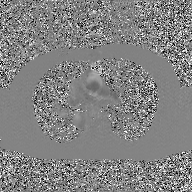
| field | value |
|---|---|
| modality | 2D phase-contrast cine MRI of the ascending aorta, GAN super-resolution reconstruction |